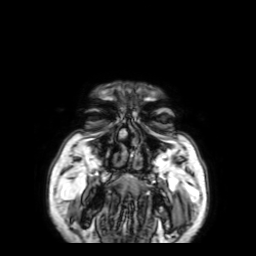
  modality:
    type: brain MRI
    field_strength: 3T
  series: 3D T1-weighted with SENSE
  study_topic: ring-enhancing brain masses